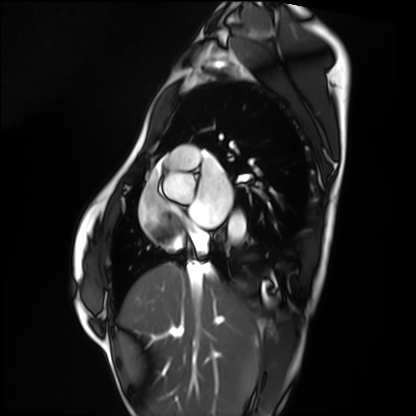
Cardiac MRI.
Subject group: healthy volunteer.